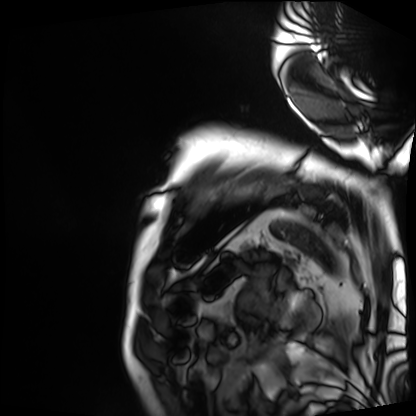
modality: cardiac MRI
subject group: patient